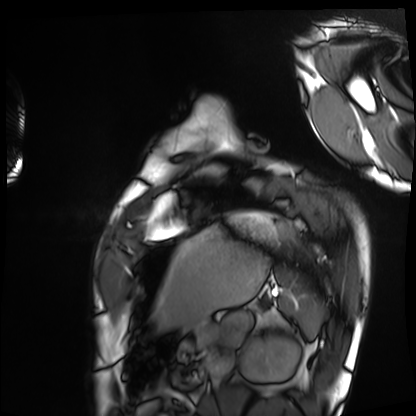
{"modality": "cardiac MRI", "cohort": "healthy volunteer"}